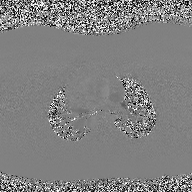
2D phase-contrast cine MRI of the ascending aorta, high-resolution GRAPPA acquisition.